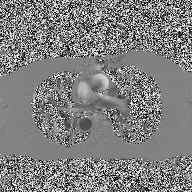
Summary: 2D phase-contrast cine MRI of the ascending aorta, high-resolution GRAPPA acquisition.